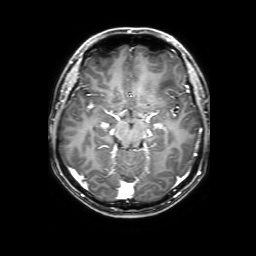
3 Tesla brain MRI.
Series: 3D T1-weighted with SENSE.
Study: ring-enhancing brain masses.